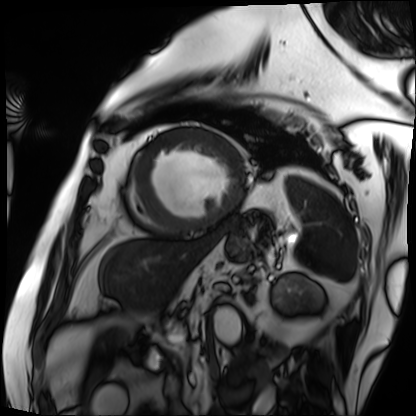
Q: What kind of scan is this?
A: Cardiac MRI.
Subject group: patient.